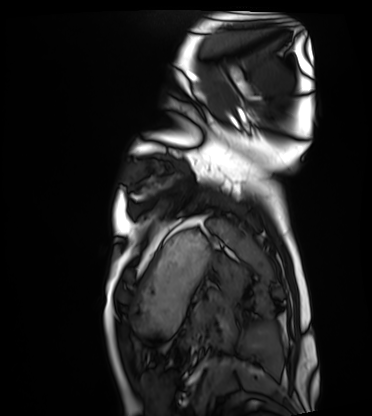
Cardiac MRI. Subject group: healthy volunteer.